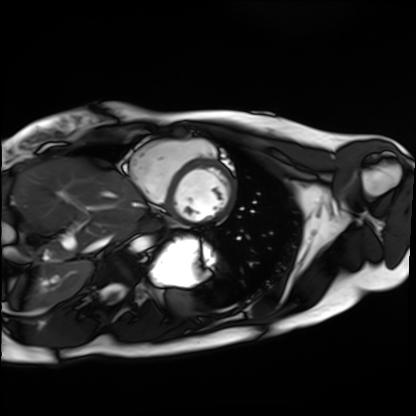
Summary:
Cardiac MRI. Subject group: healthy volunteer.